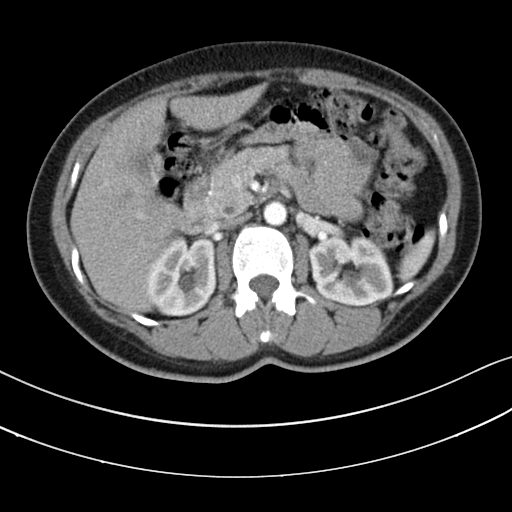
modality: multiphase abdominal CT, liver, arterial phase | patient: female, age 46.